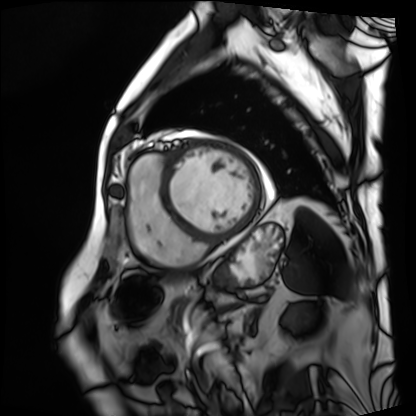
Cardiac MRI.
Subject group: patient.